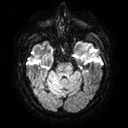
Q: What kind of scan is this?
A: 3 Tesla brain MRI.
Study: ring-enhancing brain masses.